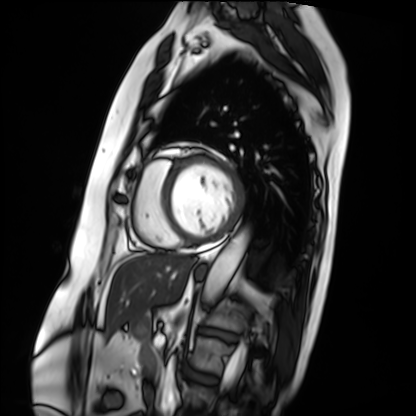
Cardiac MRI. Subject group: patient.